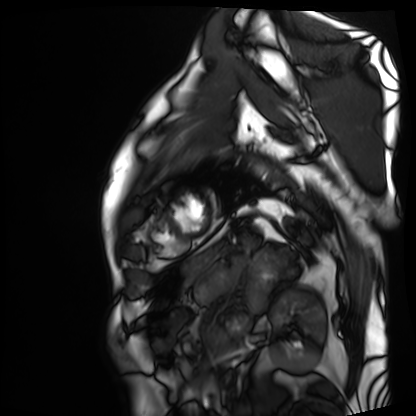
Clinical context:
Cardiac MRI. Subject group: patient.